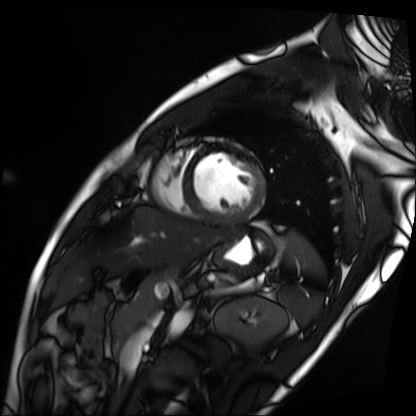
Cardiac MRI. Subject group: patient.